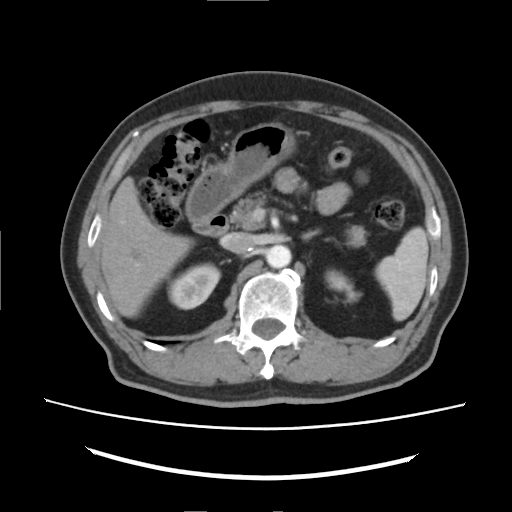
| field | value |
|---|---|
| modality | multiphase abdominal CT, liver, arterial phase |
| patient | male, age 73 |